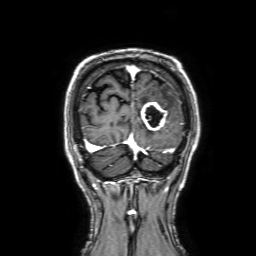
  modality:
    type: brain MRI
    field_strength: 3T
  series: 3D T1-weighted with SENSE
  study_topic: ring-enhancing brain masses